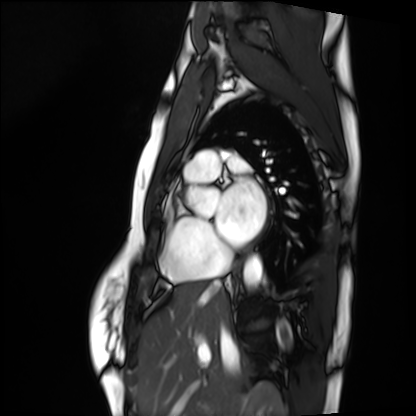
Clinical context:
Cardiac MRI. Subject group: healthy volunteer.